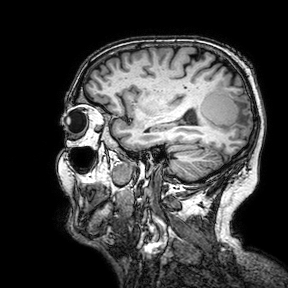
modality = 3 Tesla brain MRI | series = 3D T1-weighted turbo field echo with SENSE | study = ring-enhancing brain masses.